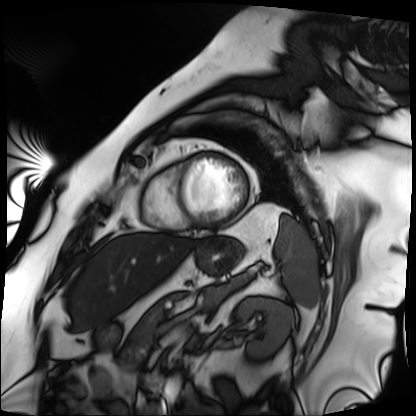
Case summary: Cardiac MRI. Subject group: patient.